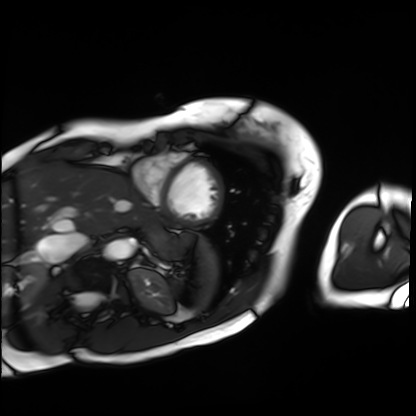
- modality — cardiac MRI
- subject group — patient